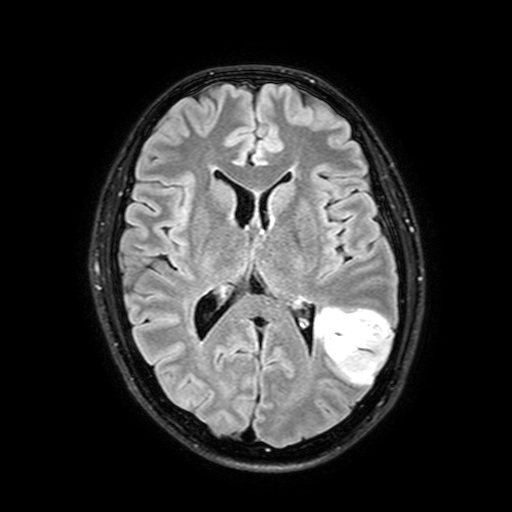
modality=3 Tesla brain MRI; series=FLAIR with SPAIR, 3 mm; study=ring-enhancing brain masses.